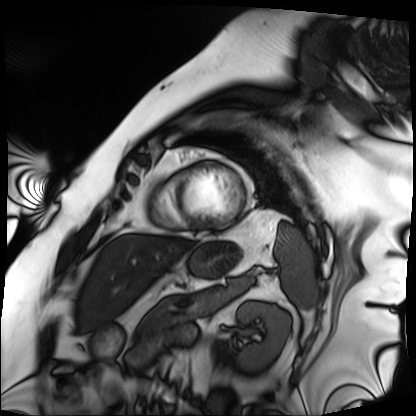
Cardiac MRI. Subject group: patient.